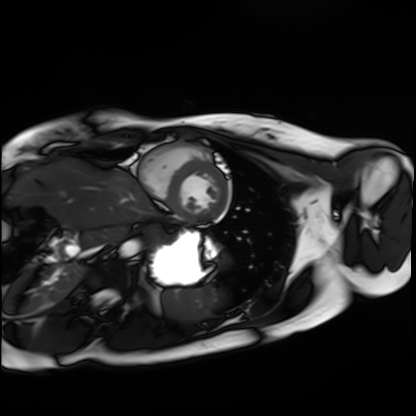
Cardiac MRI.
Subject group: healthy volunteer.